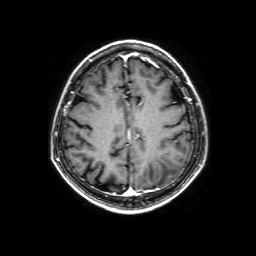
3 Tesla brain MRI. Series: 3D T1-weighted with SENSE. Study: ring-enhancing brain masses.